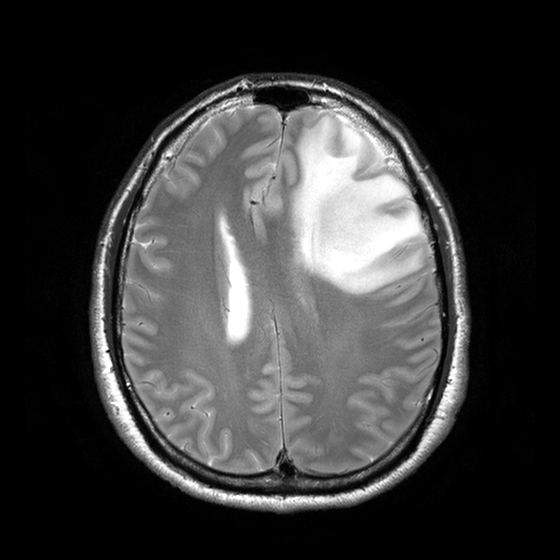
<study>
  <modality>
    <type>brain MRI</type>
    <field_strength>3T</field_strength>
  </modality>
  <series>T2-weighted turbo spin echo with CLEAR</series>
  <study_topic>ring-enhancing brain masses</study_topic>
</study>